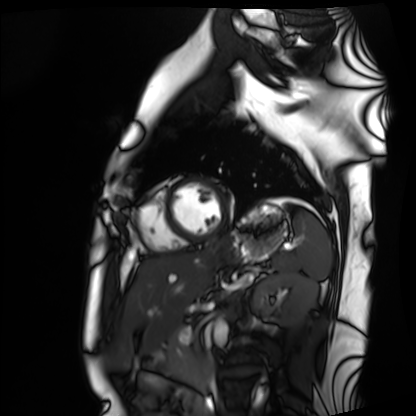
Case summary:
Cardiac MRI. Subject group: healthy volunteer.